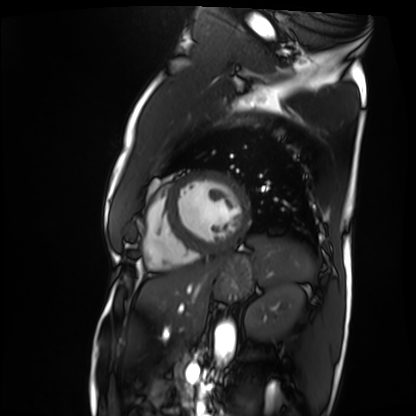
modality: cardiac MRI | subject group: patient.